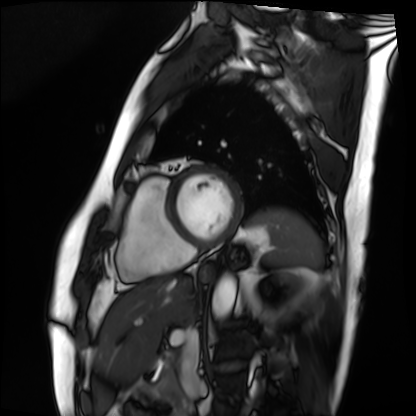
Cardiac MRI. Subject group: patient.